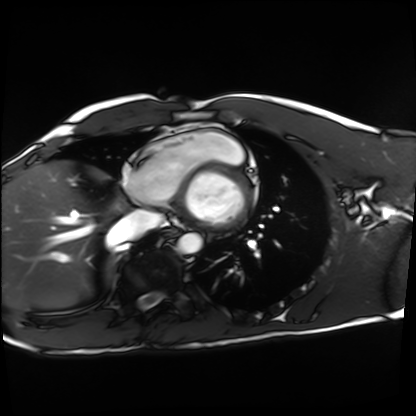
Cardiac MRI.
Subject group: healthy volunteer.